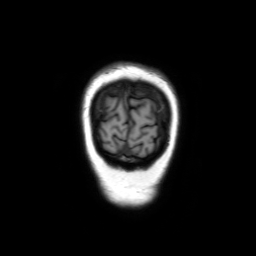
Q: What kind of scan is this?
A: 3 Tesla brain MRI.
Q: Series?
A: Coronal without contrast.
Study: ring-enhancing brain masses.